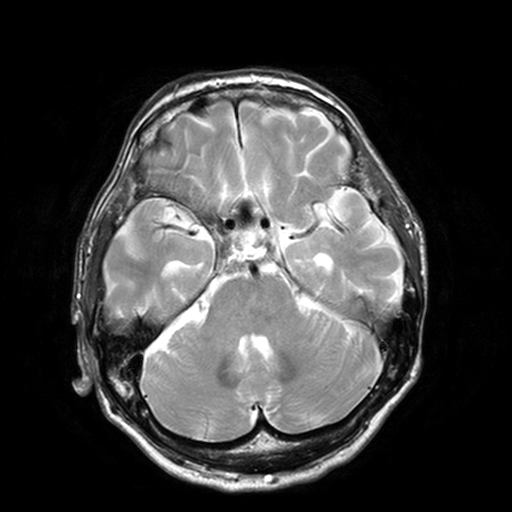
| field | value |
|---|---|
| modality | 3 Tesla brain MRI |
| series | T2-weighted turbo spin echo, 3 mm |
| study | ring-enhancing brain masses |